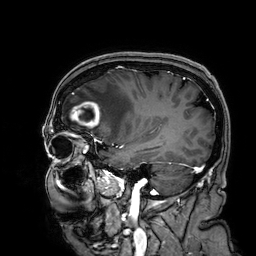
modality=3 Tesla brain MRI
series=3D T1-weighted
study=ring-enhancing brain masses